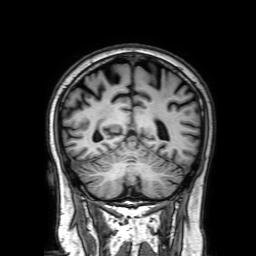
Clinical context: 3 Tesla brain MRI. Series: 3D T1-weighted with SENSE. Study: ring-enhancing brain masses.